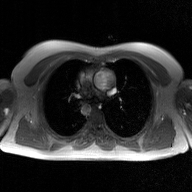
Q: What kind of scan is this?
A: 2D phase-contrast cine MRI of the ascending aorta, GAN super-resolution reconstruction.